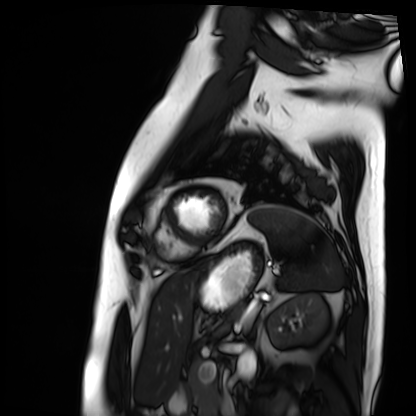
Summary: Cardiac MRI. Subject group: patient.